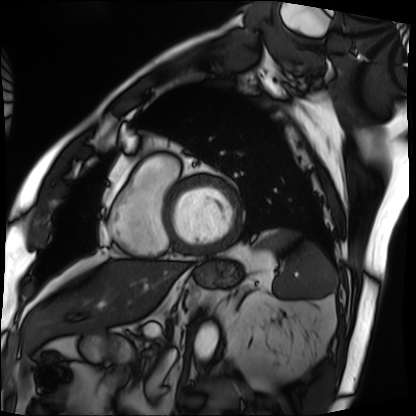
modality — cardiac MRI | subject group — patient.